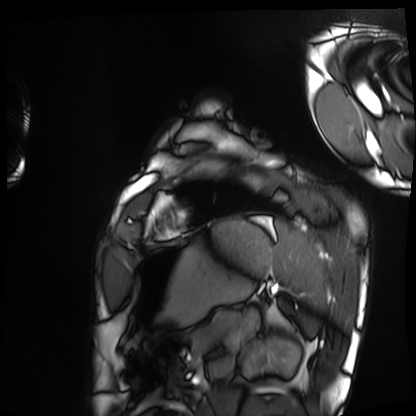
modality: cardiac MRI | subject group: healthy volunteer.